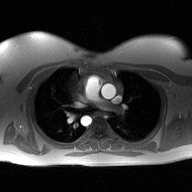
* modality · 2D phase-contrast cine MRI of the ascending aorta